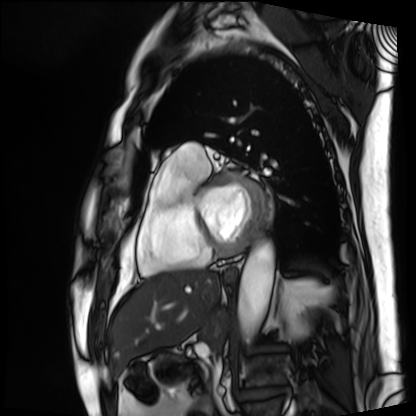
Case:
* modality — cardiac MRI
* subject group — patient